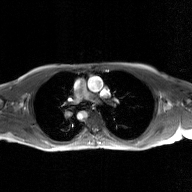
modality: 2D phase-contrast cine MRI of the ascending aorta, GAN super-resolution reconstruction.